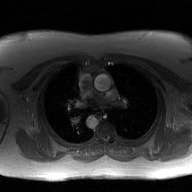
{
  "modality": {
    "type": "2D phase-contrast cine MRI",
    "region": "ascending aorta",
    "reconstruction": "GAN super-resolution reconstruction"
  }
}